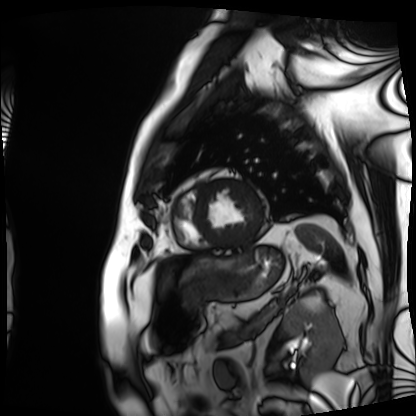
Q: What kind of scan is this?
A: Cardiac MRI.
Subject group: patient.